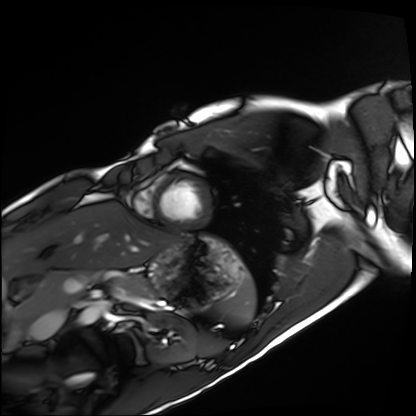
modality = cardiac MRI; subject group = healthy volunteer.